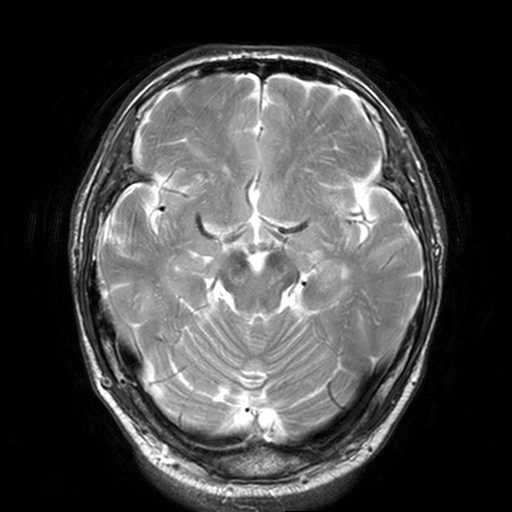
Q: What kind of scan is this?
A: 3 Tesla brain MRI.
Q: Series?
A: T2-weighted turbo spin echo, 3 mm.
Study: ring-enhancing brain masses.